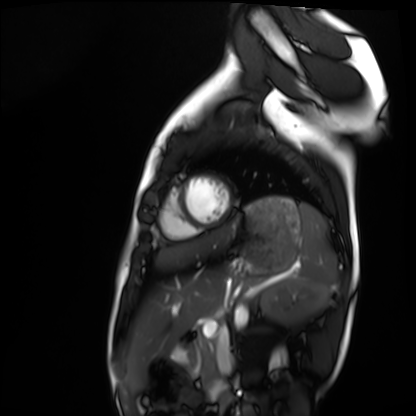
Clinical context:
Cardiac MRI. Subject group: healthy volunteer.